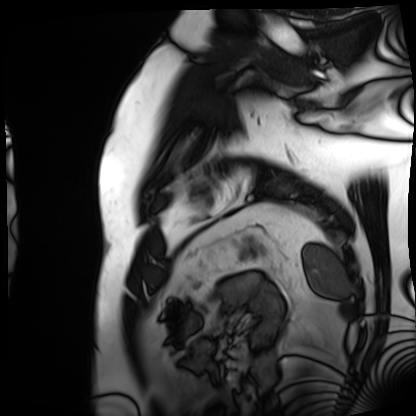
<case>
<modality>cardiac MRI</modality>
<cohort>patient</cohort>
</case>